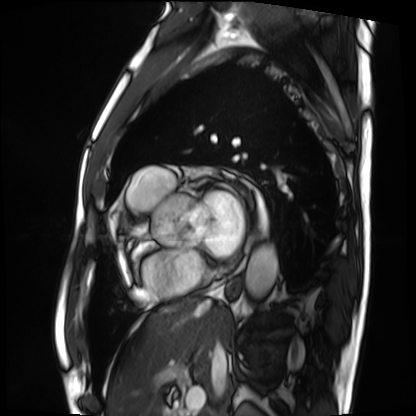
Cardiac MRI. Subject group: patient.